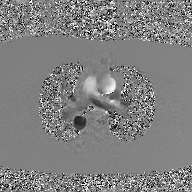
2D phase-contrast cine MRI of the ascending aorta, GAN super-resolution reconstruction.